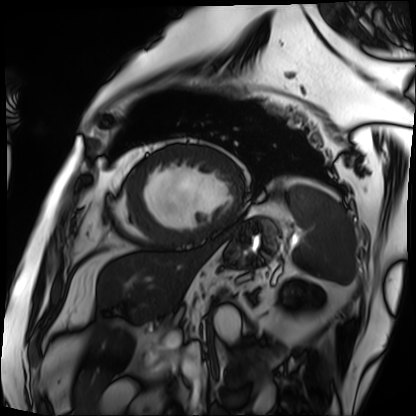
Cardiac MRI.
Subject group: patient.